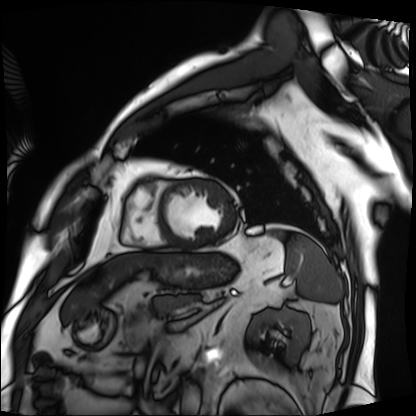
| field | value |
|---|---|
| modality | cardiac MRI |
| subject group | patient |